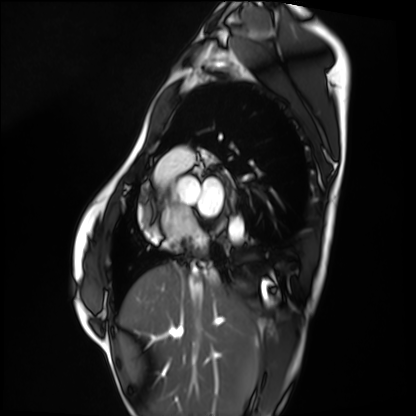
Clinical context:
Cardiac MRI. Subject group: healthy volunteer.